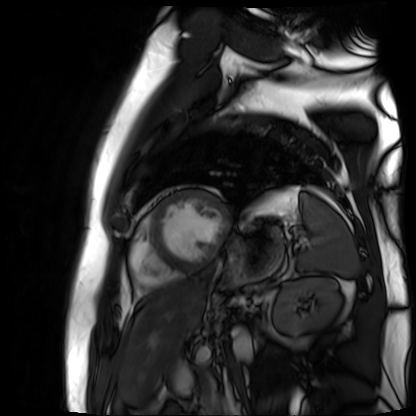
| field | value |
|---|---|
| modality | cardiac MR image of the myocardium |
| subject cohort | cardiac patient |